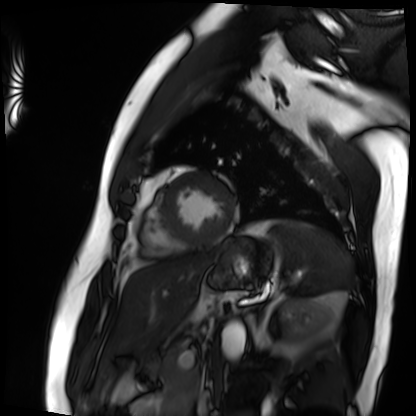
- modality: cardiac MRI
- subject group: patient